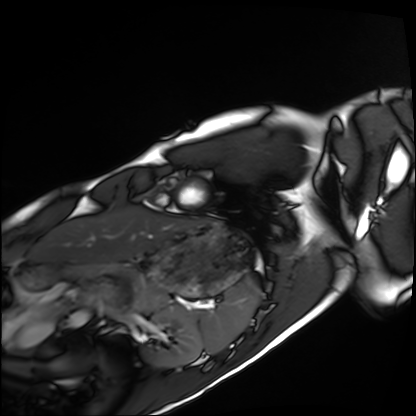
modality=cardiac MRI | subject group=healthy volunteer.